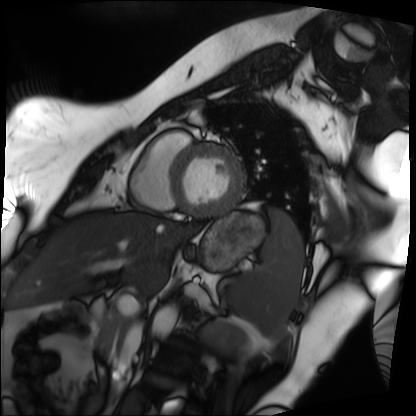
<study>
  <modality>cardiac MRI</modality>
  <cohort>patient</cohort>
</study>